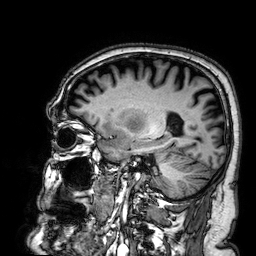
Summary:
3 Tesla brain MRI. Series: 3D T1-weighted. Study: ring-enhancing brain masses.